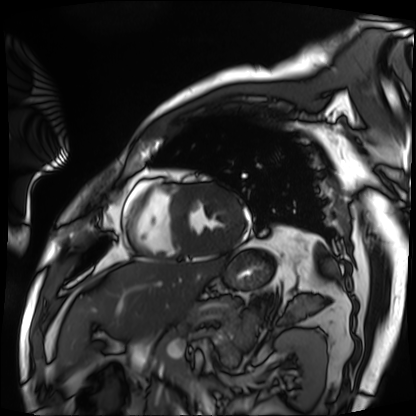
Cardiac MRI.
Subject group: patient.